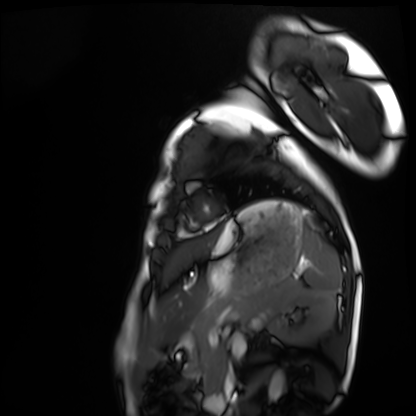
modality = cardiac MRI, subject group = healthy volunteer.